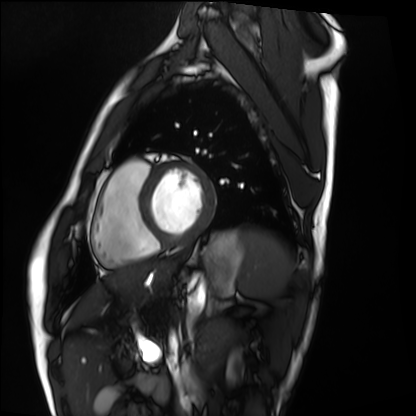
Cardiac MRI. Subject group: healthy volunteer.